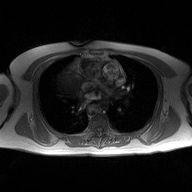
Summary: 2D phase-contrast cine MRI of the ascending aorta, high-resolution GRAPPA acquisition.